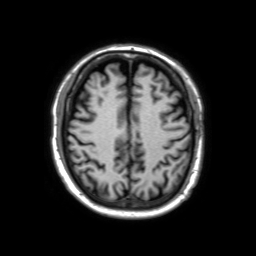
Clinical context: 3 Tesla brain MRI. Series: 3D T1-weighted TFE with SENSE. Study: ring-enhancing brain masses.